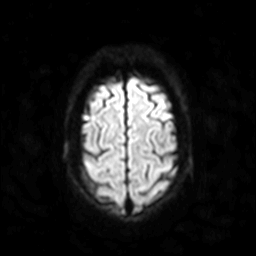
3 Tesla brain MRI. Series: diffusion-weighted imaging. Study: ring-enhancing brain masses.